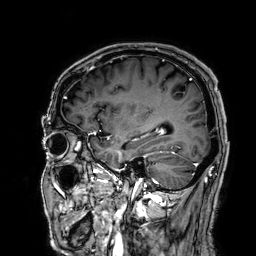
Q: What kind of scan is this?
A: 3 Tesla brain MRI.
Study: ring-enhancing brain masses.